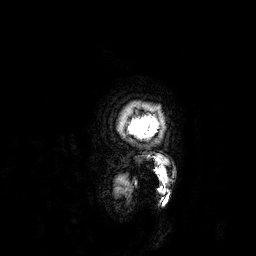
| field | value |
|---|---|
| modality | 3 Tesla brain MRI |
| series | 3D T1-weighted |
| study | ring-enhancing brain masses |